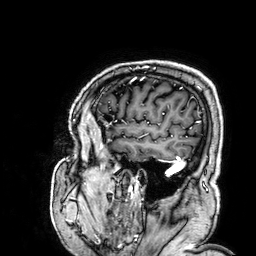
modality = 3 Tesla brain MRI | study = ring-enhancing brain masses.